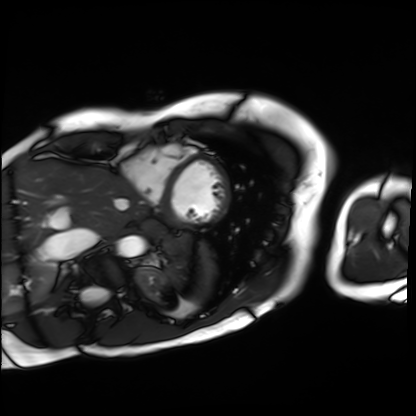
Q: What kind of scan is this?
A: Cardiac MRI.
Subject group: patient.